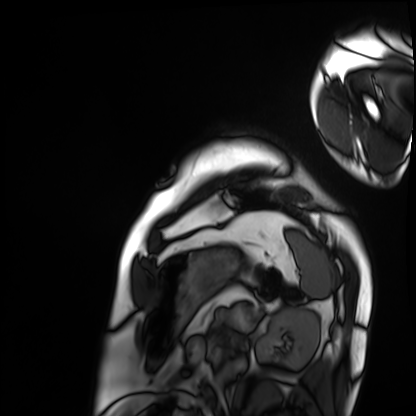
Cardiac MRI. Subject group: patient.